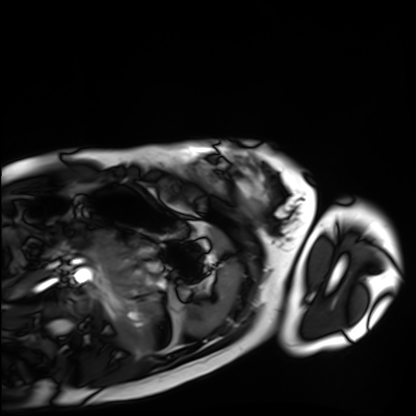
* modality · cardiac MRI
* subject group · healthy volunteer